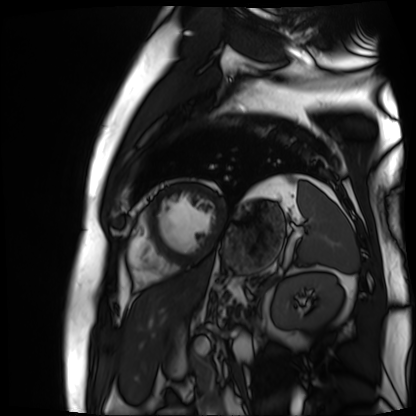
{"modality": "cardiac MR image of the myocardium", "cohort": "cardiac patient"}